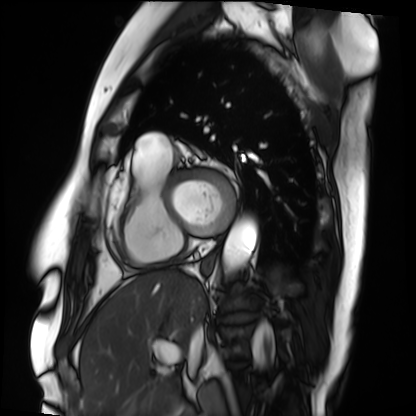
  modality: cardiac MRI
  cohort: patient